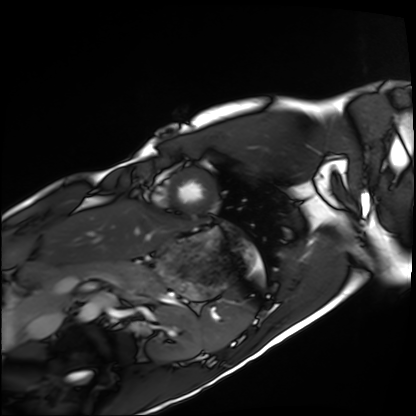
Summary: Cardiac MRI. Subject group: healthy volunteer.